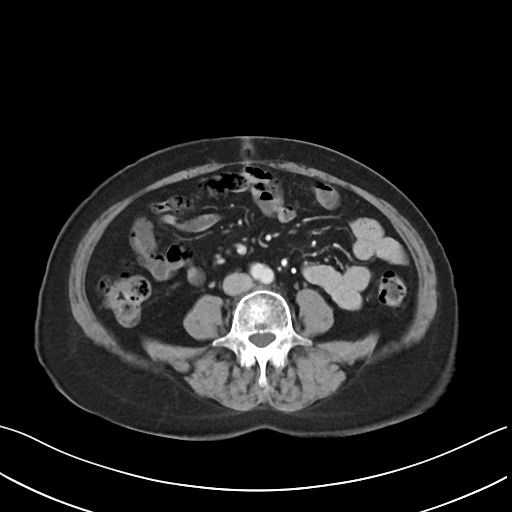
<scan>
  <modality>
    <type>multiphase abdominal CT</type>
    <region>liver</region>
    <phase>arterial</phase>
  </modality>
  <patient>
    <sex>female</sex>
    <age>61</age>
  </patient>
</scan>